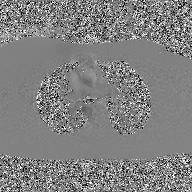
Summary: 2D phase-contrast cine MRI of the ascending aorta, GAN super-resolution reconstruction.